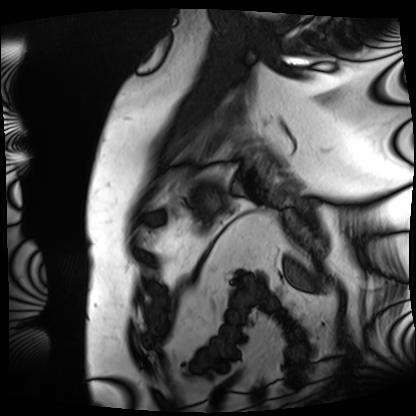
– modality — cardiac MRI
– subject group — patient